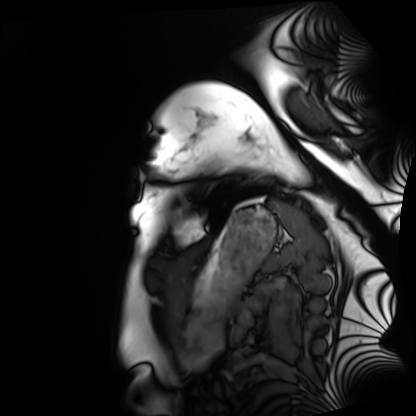
Cardiac MRI. Subject group: healthy volunteer.